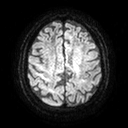
Case summary: 3 Tesla brain MRI. Series: diffusion tensor imaging (medium iso). Study: ring-enhancing brain masses.